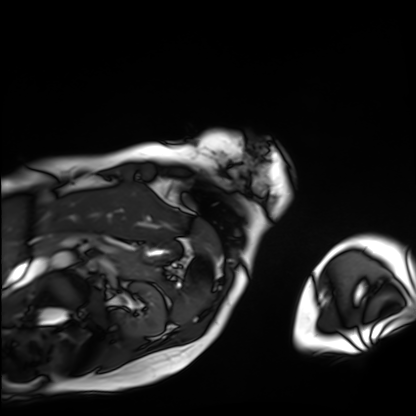
{
  "modality": "cardiac MRI",
  "cohort": "patient"
}